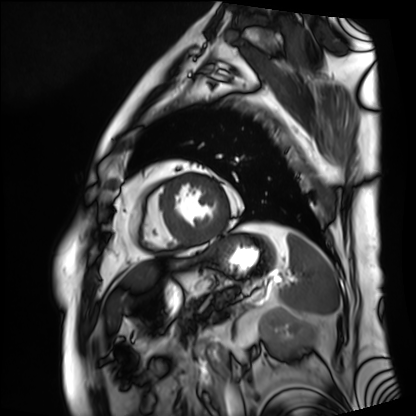
Cardiac MRI.
Subject group: patient.